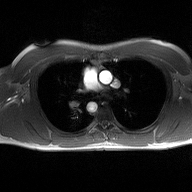
– modality: 2D phase-contrast cine MRI of the ascending aorta